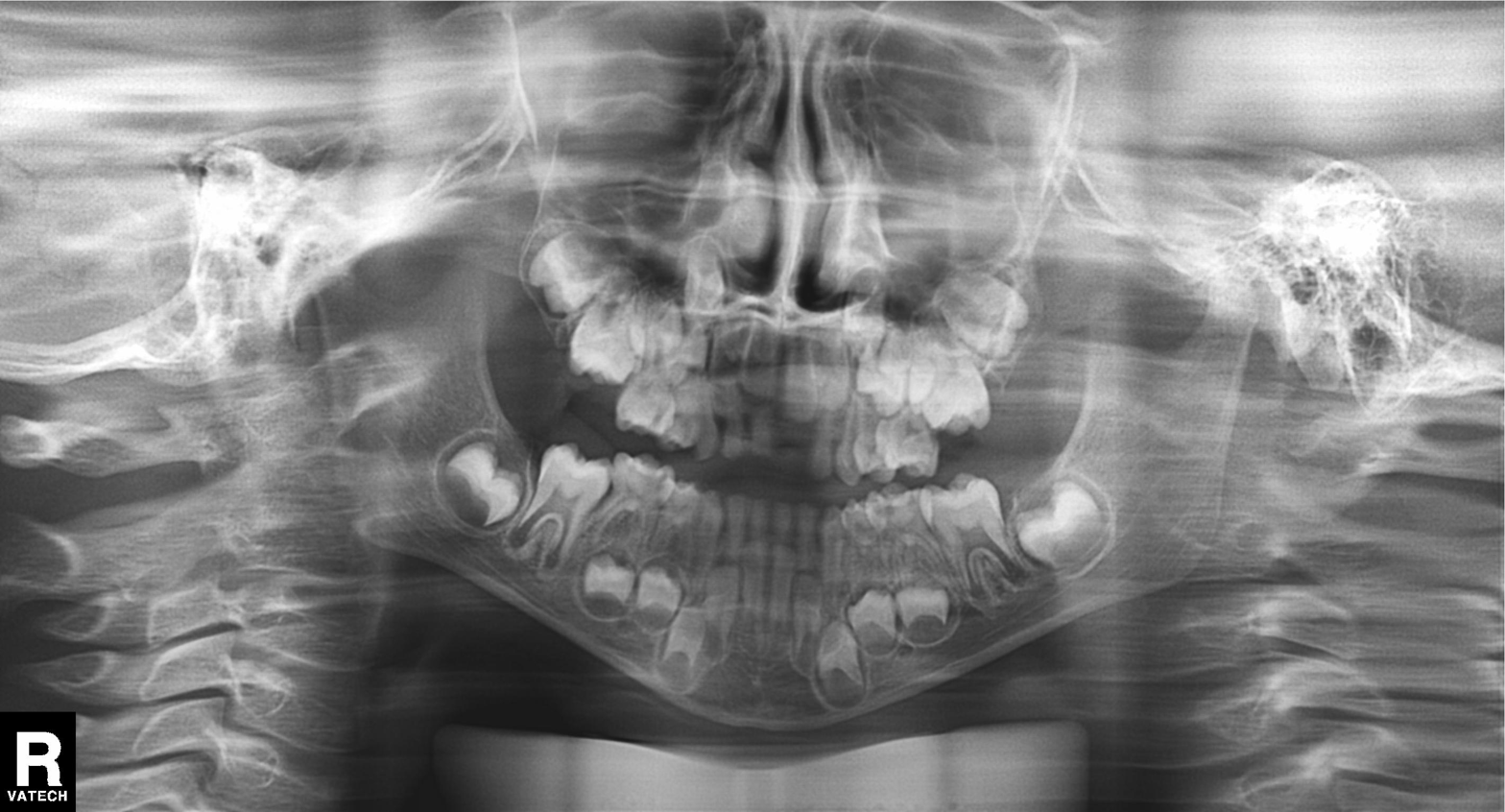
Case summary:
Panoramic dental radiograph (orthopantomogram).
Conclusion:
Tooth impaction.